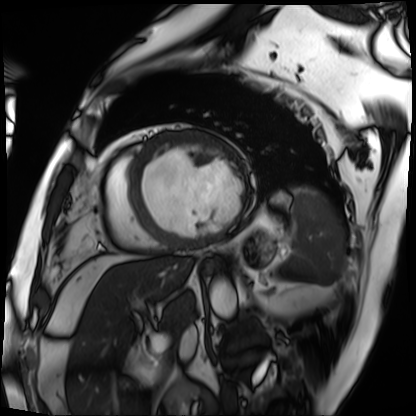
modality: cardiac MRI
subject group: patient